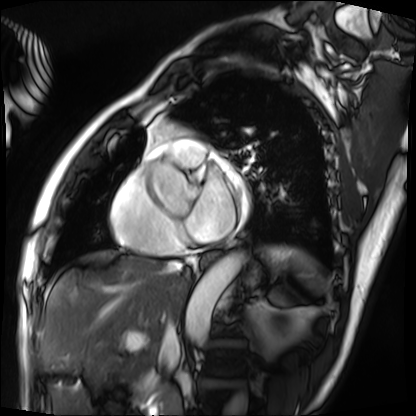
• modality: cardiac MRI
• subject group: patient